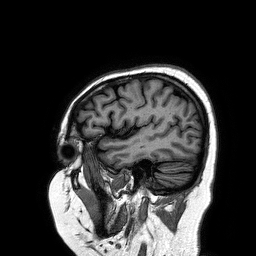
Clinical context: 3 Tesla brain MRI. Series: 3D T1-weighted turbo field echo. Study: ring-enhancing brain masses.